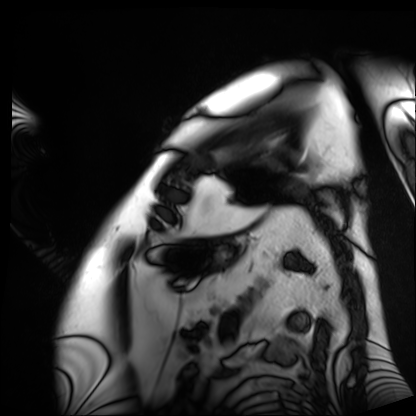
<study>
  <modality>cardiac MRI</modality>
  <cohort>patient</cohort>
</study>